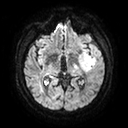
modality=3 Tesla brain MRI; series=diffusion tensor imaging (medium iso); study=ring-enhancing brain masses.